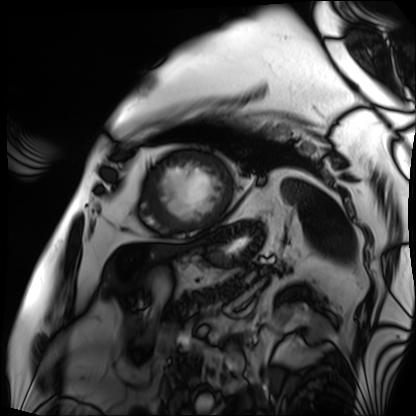
Cardiac MRI. Subject group: patient.